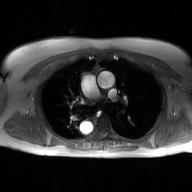
2D phase-contrast cine MRI of the ascending aorta, GAN super-resolution reconstruction.